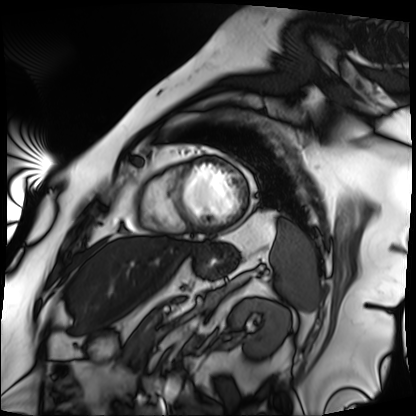
Cardiac MRI. Subject group: patient.